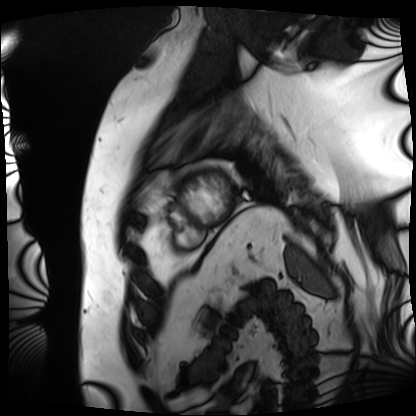
• modality — cardiac MRI
• subject group — patient